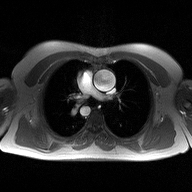
Summary:
2D phase-contrast cine MRI of the ascending aorta, high-resolution GRAPPA acquisition.